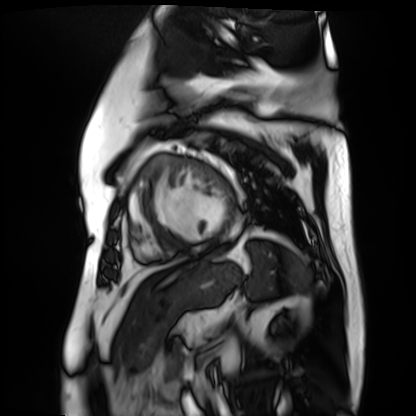
• modality — cardiac MR image of the myocardium
• subject cohort — cardiac patient